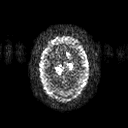
3 Tesla brain MRI. Series: diffusion tensor imaging (medium iso). Study: ring-enhancing brain masses.